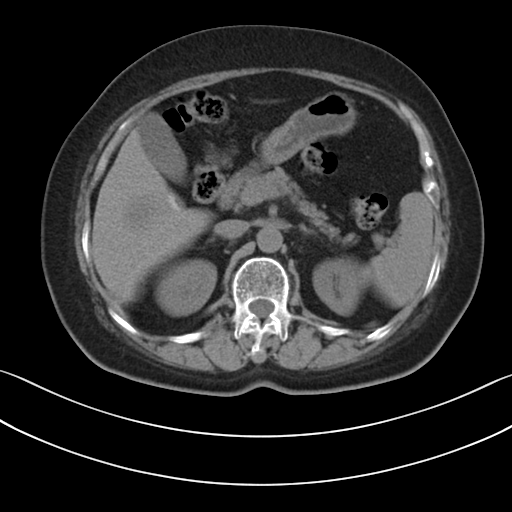
modality: multiphase abdominal CT, liver, non-contrast phase
patient: female, age 67